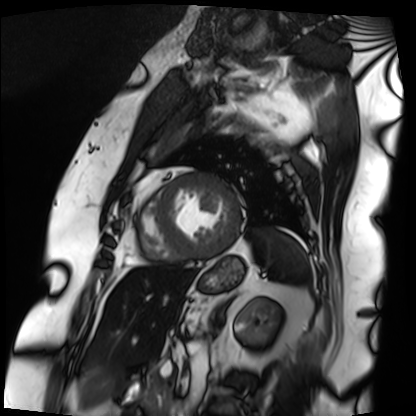
Case summary: Cardiac MRI. Subject group: patient.